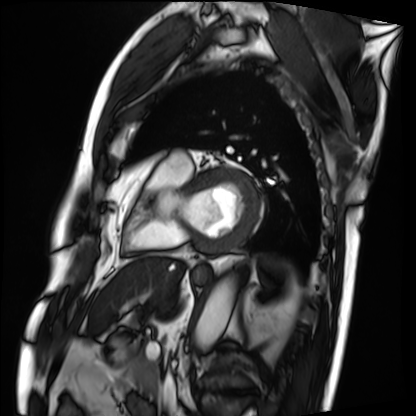
| field | value |
|---|---|
| modality | cardiac MRI |
| subject group | patient |